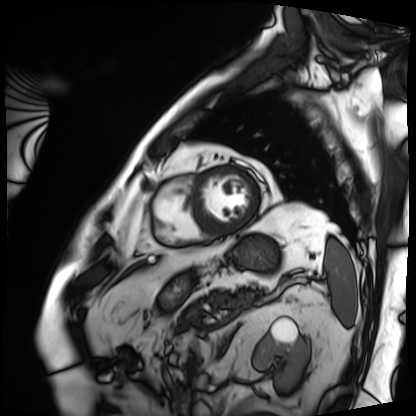
Clinical context: Cardiac MRI. Subject group: patient.